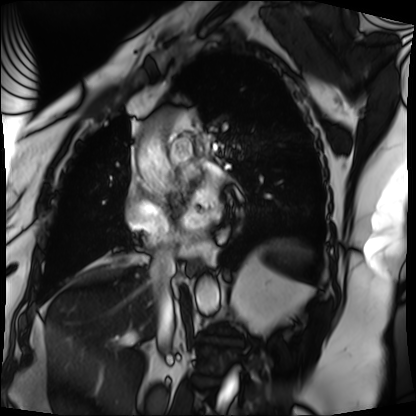
modality: cardiac MRI, subject group: patient.